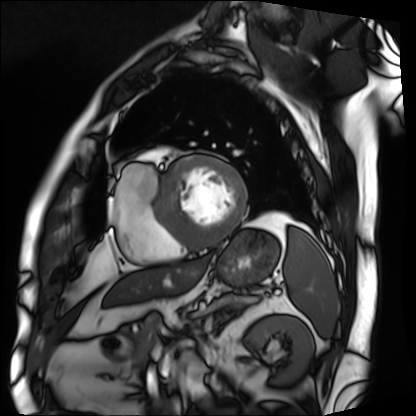
| field | value |
|---|---|
| modality | cardiac MRI |
| subject group | patient |